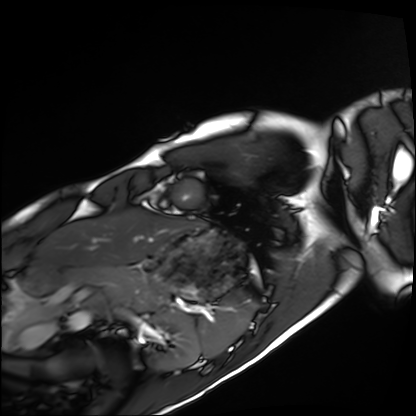
Case summary:
Cardiac MRI. Subject group: healthy volunteer.